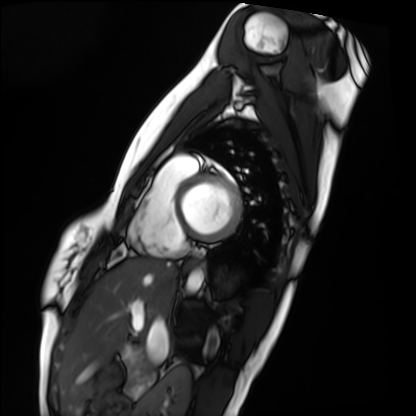
Q: What kind of scan is this?
A: Cardiac MRI.
Subject group: healthy volunteer.